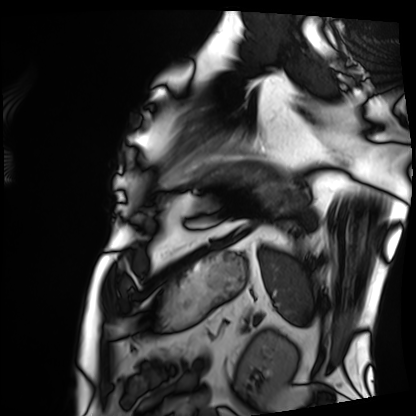
{"modality": "cardiac MRI", "cohort": "patient"}